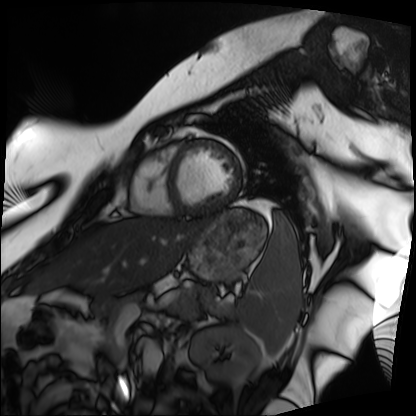
Summary: Cardiac MRI. Subject group: patient.